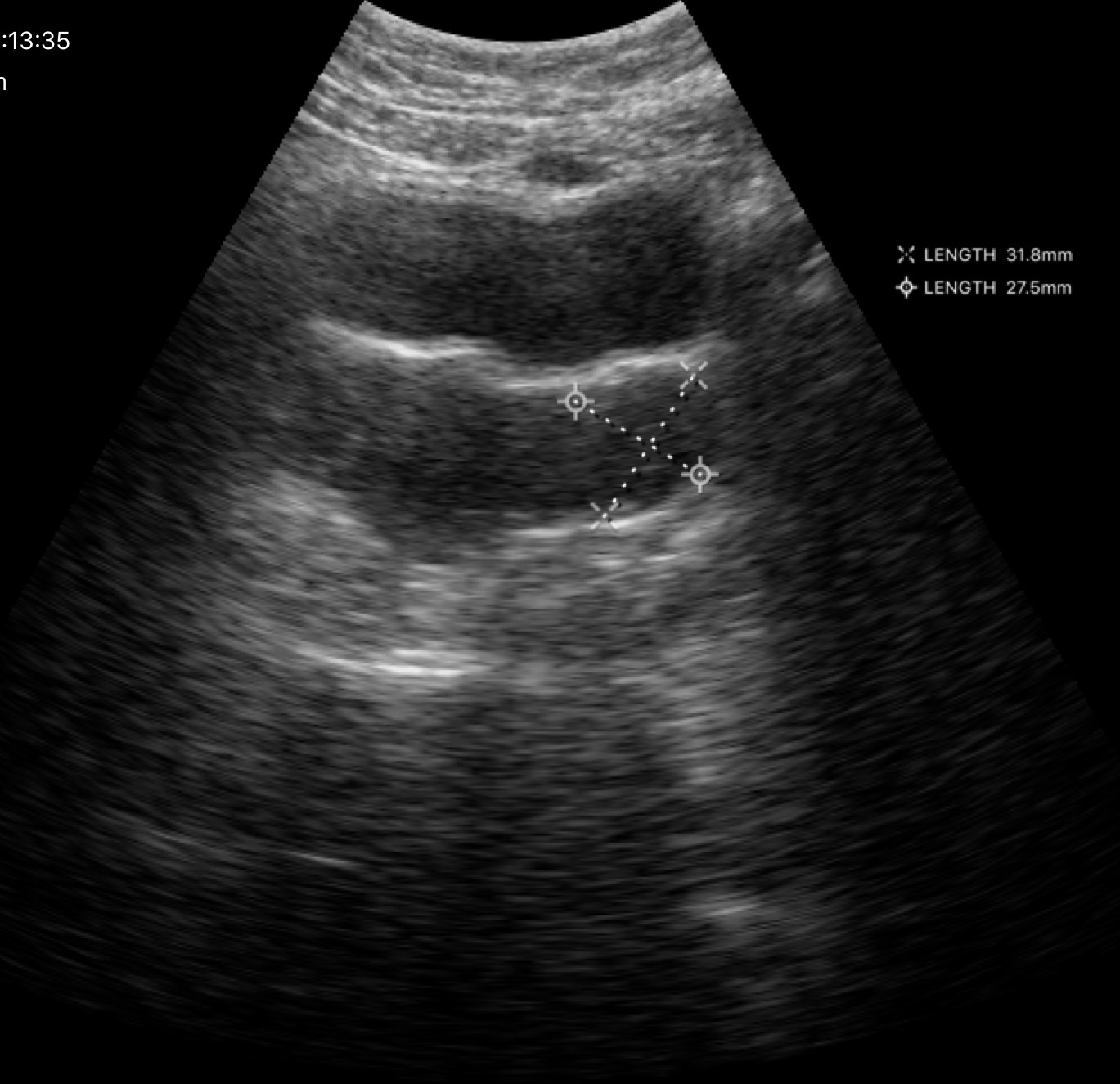
Genitourinary ultrasound.